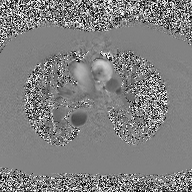
<scan>
<modality>
  <type>2D phase-contrast cine MRI</type>
  <region>ascending aorta</region>
  <reconstruction>high-resolution GRAPPA acquisition</reconstruction>
</modality>
</scan>